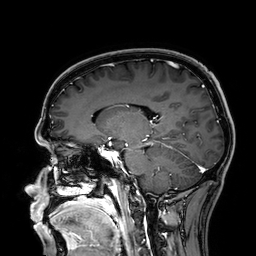
<study>
<modality>
  <type>brain MRI</type>
  <field_strength>3T</field_strength>
</modality>
<series>3D T1-weighted</series>
<study_topic>ring-enhancing brain masses</study_topic>
</study>